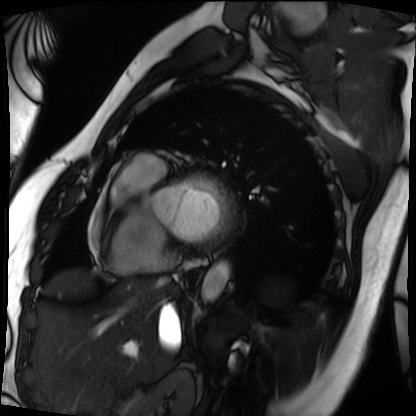
Summary: Cardiac MRI. Subject group: patient.